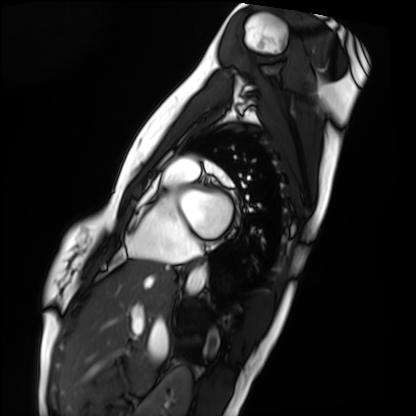
• modality: cardiac MRI
• subject group: healthy volunteer